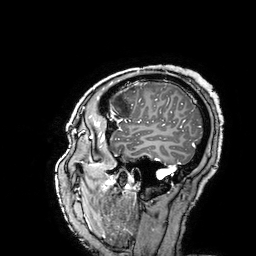
3 Tesla brain MRI. Series: 3D T1-weighted turbo field echo with SENSE. Study: ring-enhancing brain masses.